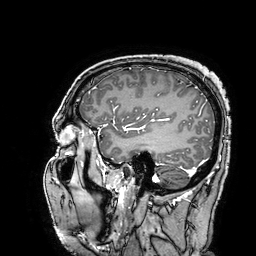
3 Tesla brain MRI. Study: ring-enhancing brain masses.